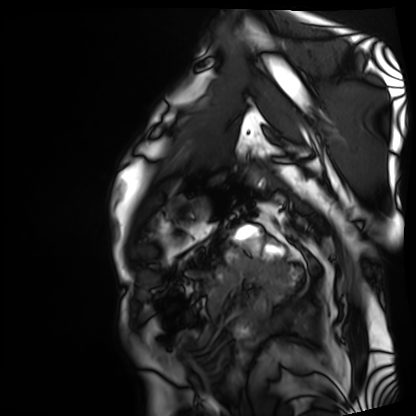
<record>
  <modality>cardiac MRI</modality>
  <cohort>patient</cohort>
</record>